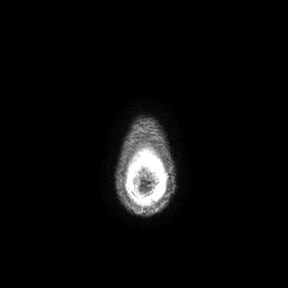
3 Tesla brain MRI.
Series: axial.
Study: ring-enhancing brain masses.